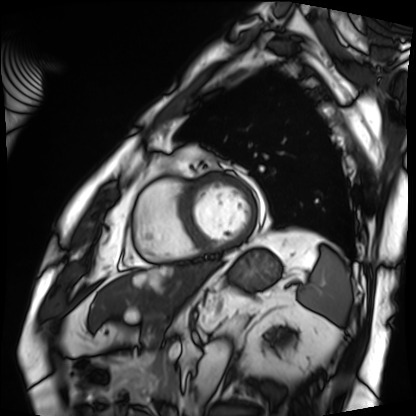
Cardiac MRI. Subject group: patient.